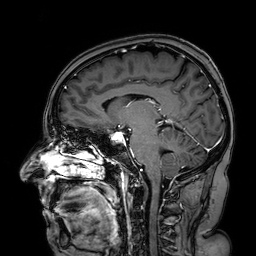
- modality · 3 Tesla brain MRI
- series · 3D T1-weighted turbo field echo with SENSE
- study · ring-enhancing brain masses